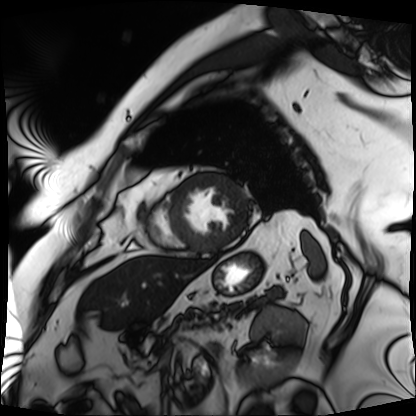
Cardiac MRI. Subject group: patient.